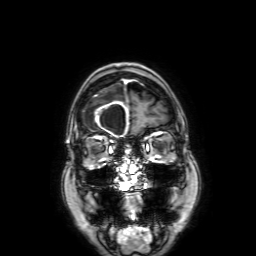
modality:
  type: brain MRI
  field_strength: 3T
series: 3D T1-weighted with SENSE
study_topic: ring-enhancing brain masses